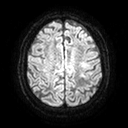
Q: What kind of scan is this?
A: 3 Tesla brain MRI.
Q: Series?
A: Diffusion tensor imaging (medium iso).
Study: ring-enhancing brain masses.